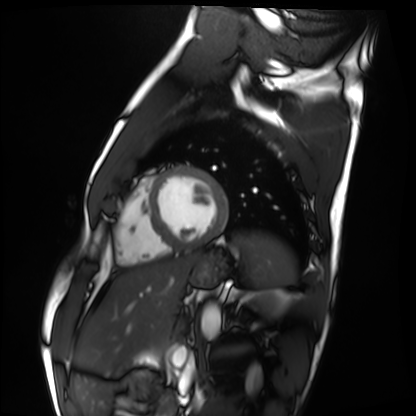
Cardiac MRI.
Subject group: healthy volunteer.